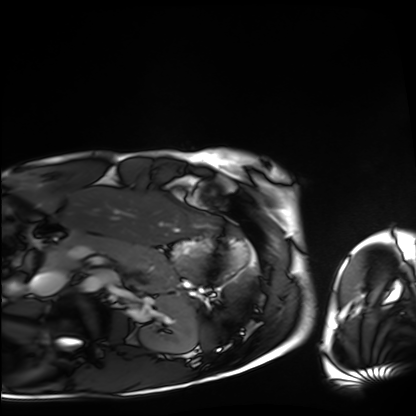
{"modality": "cardiac MRI", "cohort": "healthy volunteer"}